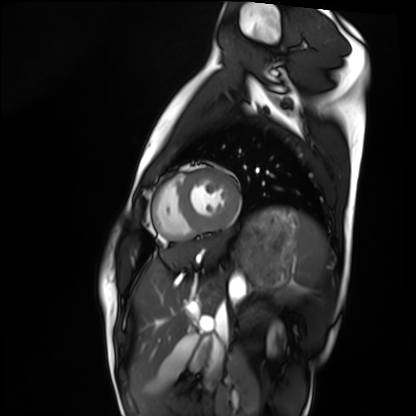
modality = cardiac MRI
subject group = healthy volunteer